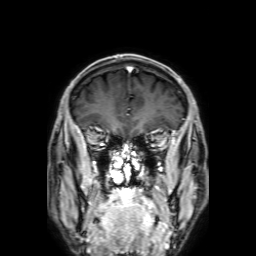
3 Tesla brain MRI. Series: 3D T1-weighted with SENSE. Study: ring-enhancing brain masses.